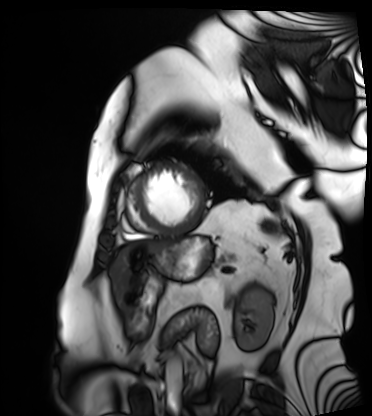
Cardiac MRI. Subject group: patient.